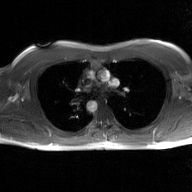
2D phase-contrast cine MRI of the ascending aorta, GAN super-resolution reconstruction.